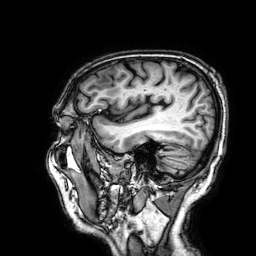
3 Tesla brain MRI. Series: 3D T1-weighted. Study: ring-enhancing brain masses.